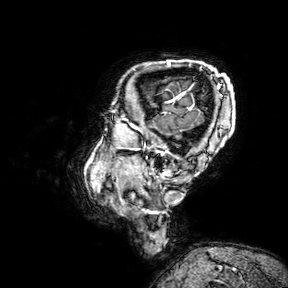
3 Tesla brain MRI.
Series: 3D T1-weighted turbo field echo with SENSE.
Study: ring-enhancing brain masses.